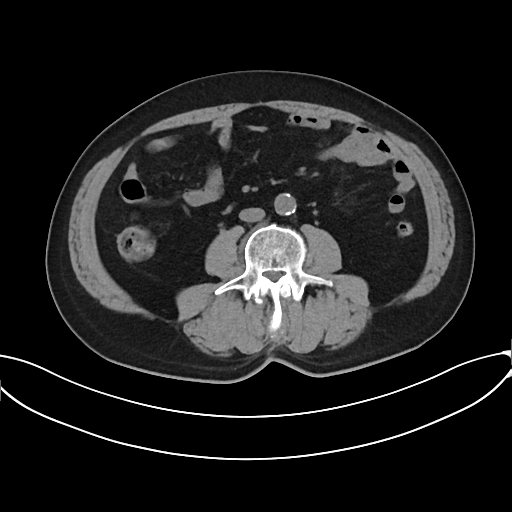
Multiphase abdominal CT, liver, non-contrast phase. Patient: male, age 69.